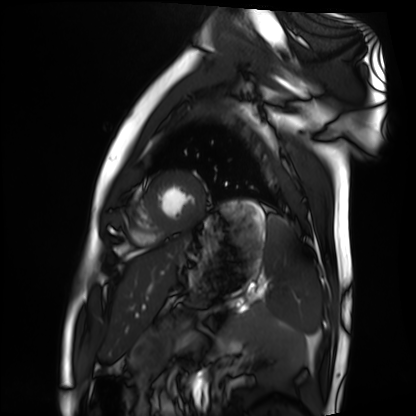
{"modality": "cardiac MRI", "cohort": "healthy volunteer"}